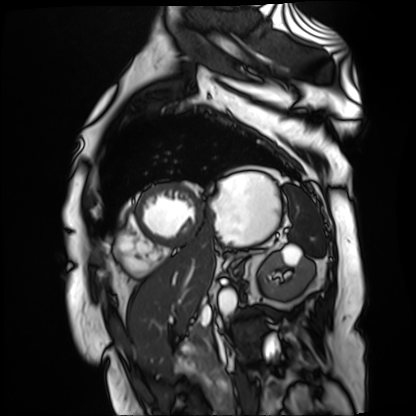
modality = cardiac MR image of the myocardium | subject cohort = cardiac patient.